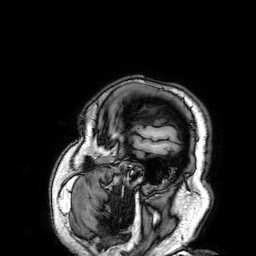
| field | value |
|---|---|
| modality | 3 Tesla brain MRI |
| series | 3D T1-weighted |
| study | ring-enhancing brain masses |